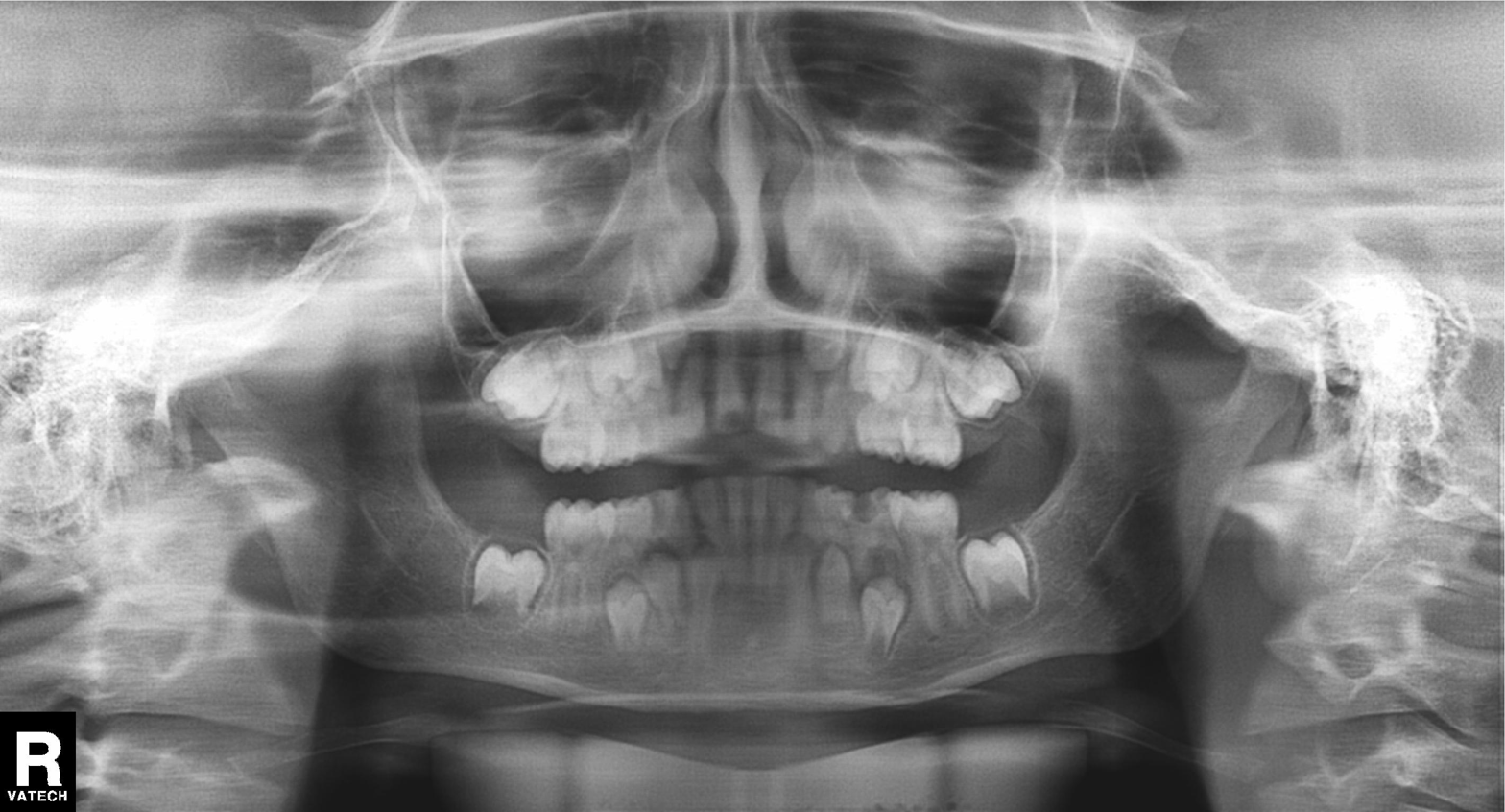
| feature | finding |
|---|---|
| modality | panoramic dental radiograph (orthopantomogram) |
| finding | alveolar bone loss |